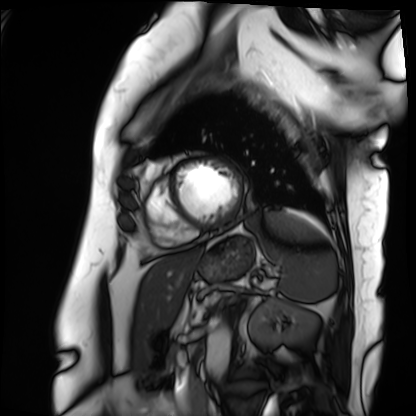
Cardiac MRI. Subject group: patient.